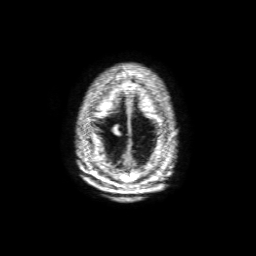
3 Tesla brain MRI. Series: 3D T1-weighted with SENSE. Study: ring-enhancing brain masses.